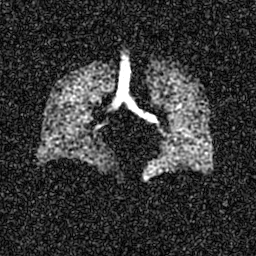
Clinical context: Hyperpolarized 129Xe ventilation MRI of the lungs. SNR level 6 of 8 (the deposit holds this scan as its native image and as seven SNR-degraded versions).